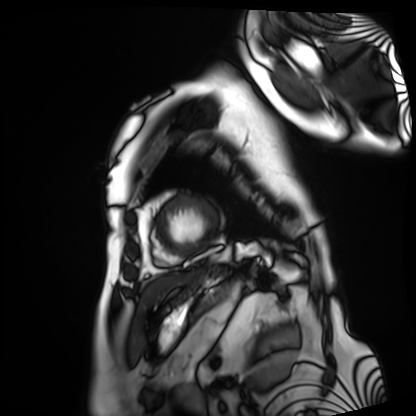
Summary: Cardiac MRI. Subject group: patient.